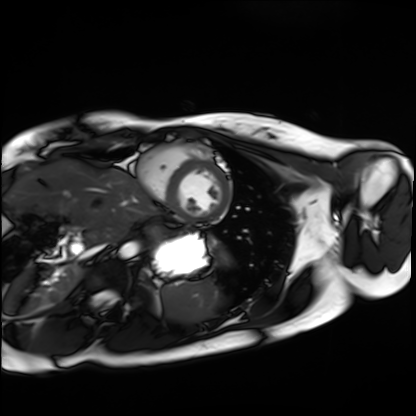
modality: cardiac MRI | subject group: healthy volunteer.